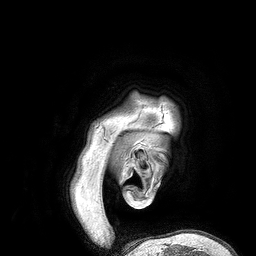
modality = 3 Tesla brain MRI
series = 3D T1-weighted turbo field echo
study = ring-enhancing brain masses